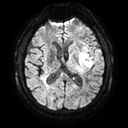
Q: What kind of scan is this?
A: 3 Tesla brain MRI.
Q: Series?
A: Diffusion tensor imaging (medium iso).
Study: ring-enhancing brain masses.